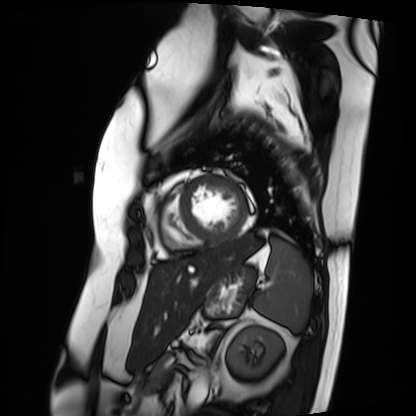
Q: What kind of scan is this?
A: Cardiac MRI.
Subject group: patient.